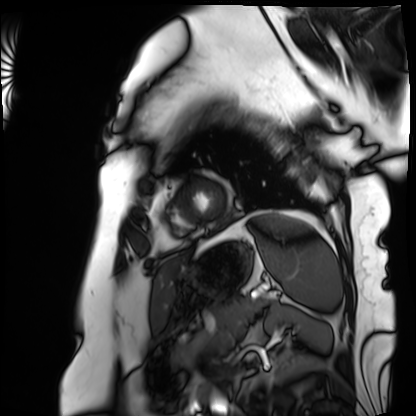
  modality: cardiac MRI
  cohort: patient